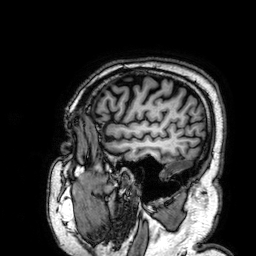
<record>
<modality>
  <type>brain MRI</type>
  <field_strength>3T</field_strength>
</modality>
<study_topic>ring-enhancing brain masses</study_topic>
</record>